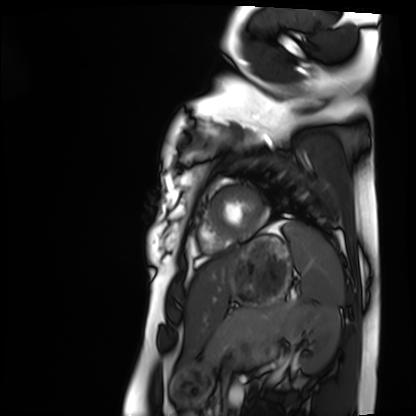
* modality: cardiac MRI
* subject group: healthy volunteer